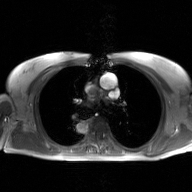
Case summary:
2D phase-contrast cine MRI of the ascending aorta, GAN super-resolution reconstruction.